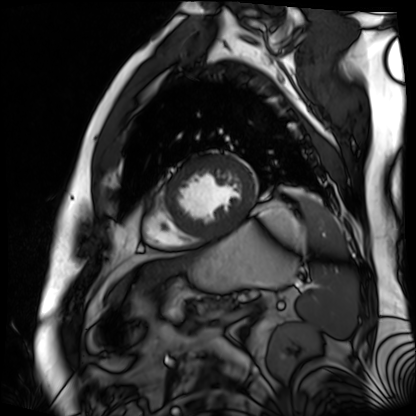
Cardiac MR image of the myocardium. Subject cohort: cardiac patient.